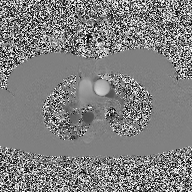
  modality:
    type: 2D phase-contrast cine MRI
    region: ascending aorta
    reconstruction: high-resolution GRAPPA acquisition